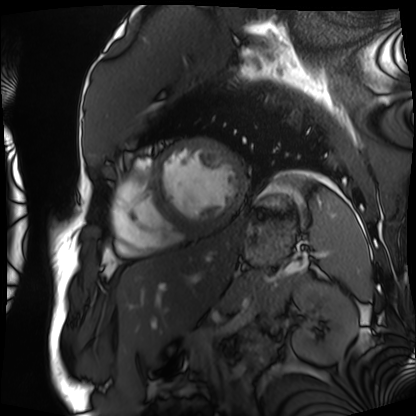
Cardiac MRI. Subject group: patient.